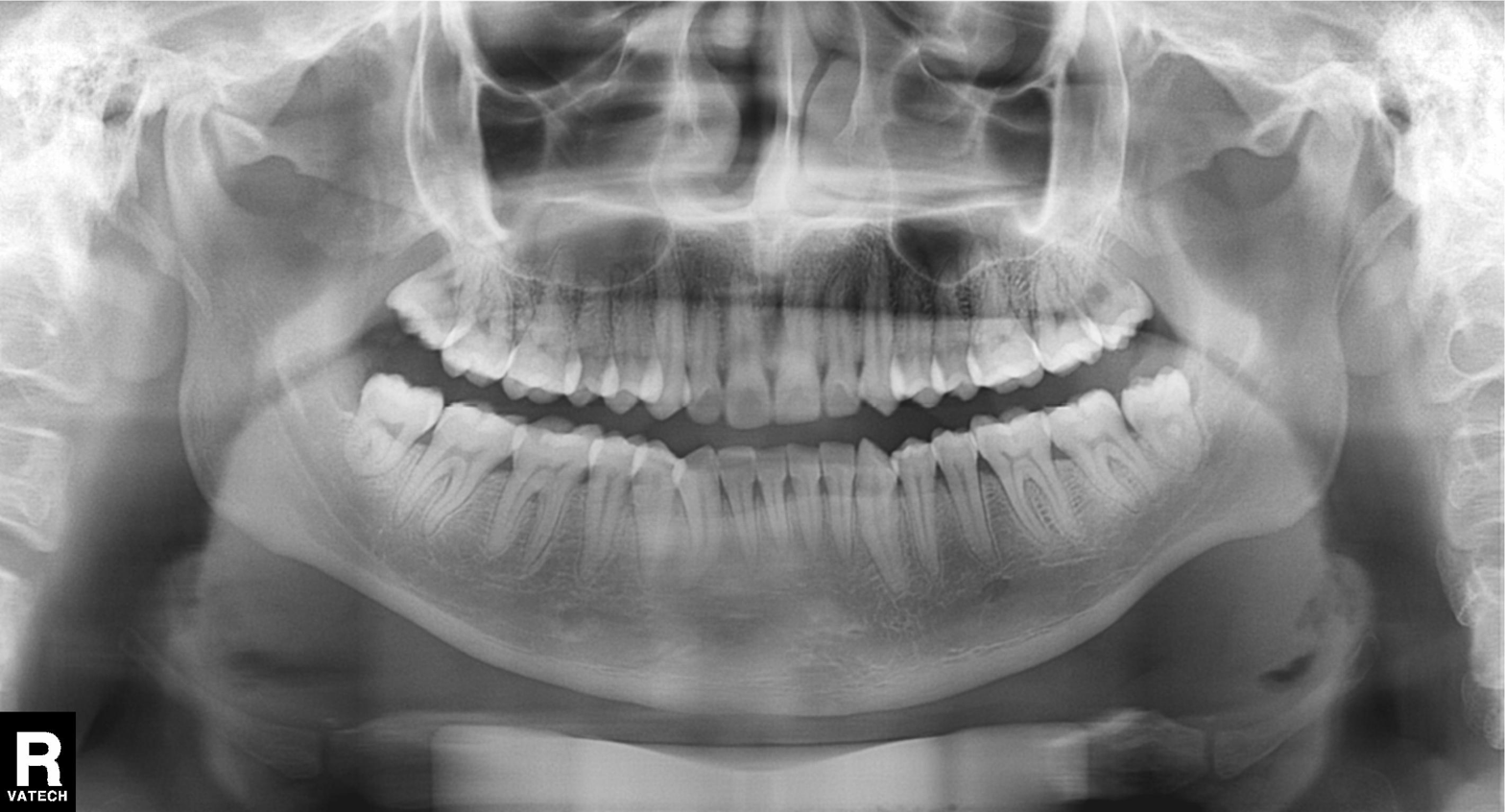
Clinical context: Panoramic dental radiograph (orthopantomogram).
Assessment: Tooth impaction.